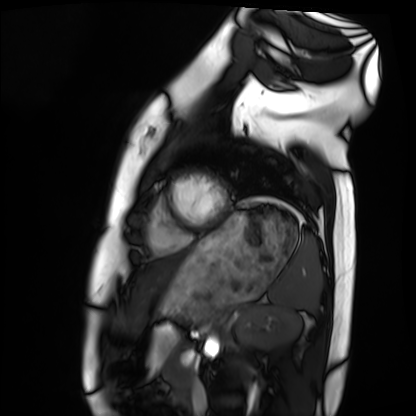
Cardiac MRI.
Subject group: healthy volunteer.